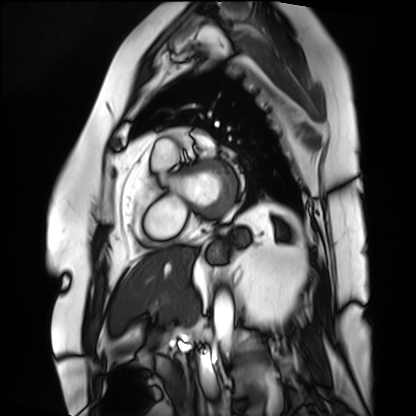
modality: cardiac MRI
subject group: patient